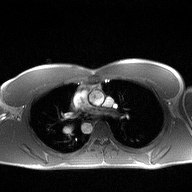
2D phase-contrast cine MRI of the ascending aorta, high-resolution GRAPPA acquisition.